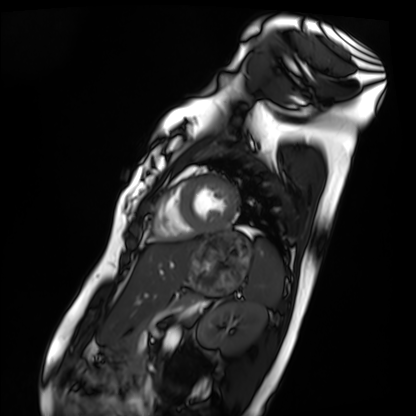
Cardiac MRI. Subject group: healthy volunteer.